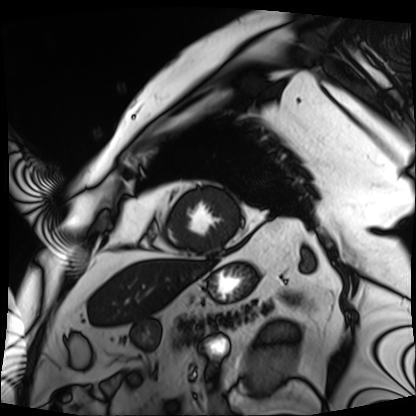
Cardiac MRI.
Subject group: patient.